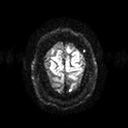
3 Tesla brain MRI.
Series: diffusion tensor imaging (medium iso).
Study: ring-enhancing brain masses.